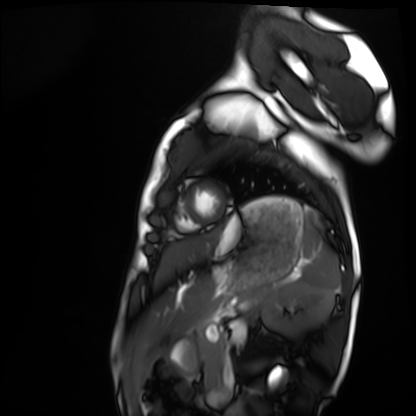
Q: What kind of scan is this?
A: Cardiac MRI.
Subject group: healthy volunteer.